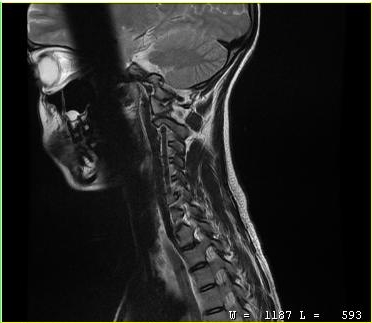
MRI of the cervical spine.
Study: cervical spondylosis.